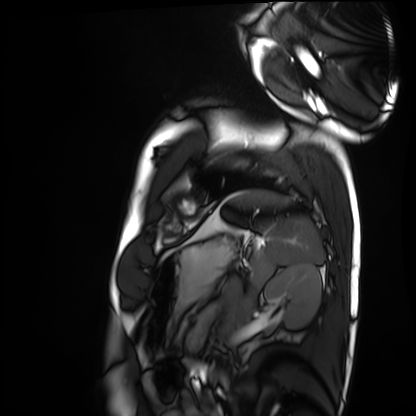
Q: What kind of scan is this?
A: Cardiac MRI.
Subject group: healthy volunteer.